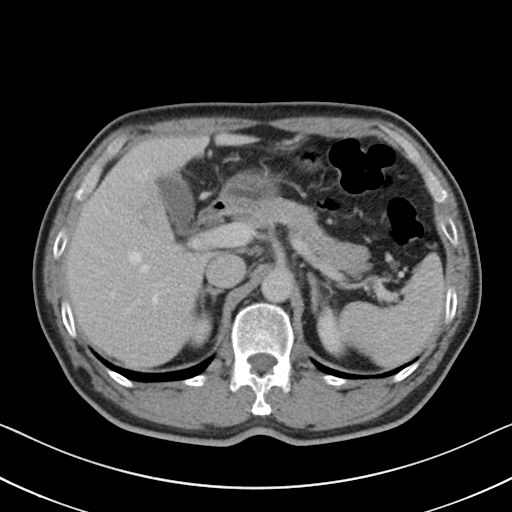
Multiphase abdominal CT, liver, delayed phase. Patient: male, age 54.